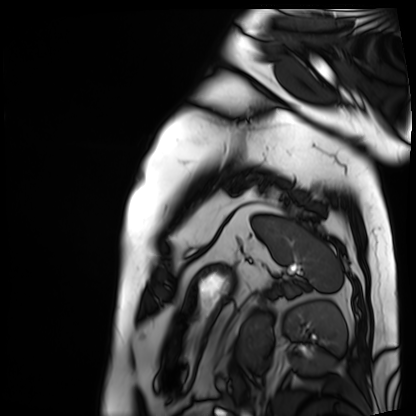
Summary: Cardiac MRI. Subject group: patient.